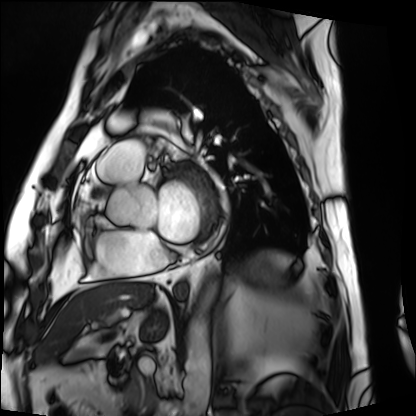
Case:
– modality — cardiac MRI
– subject group — patient